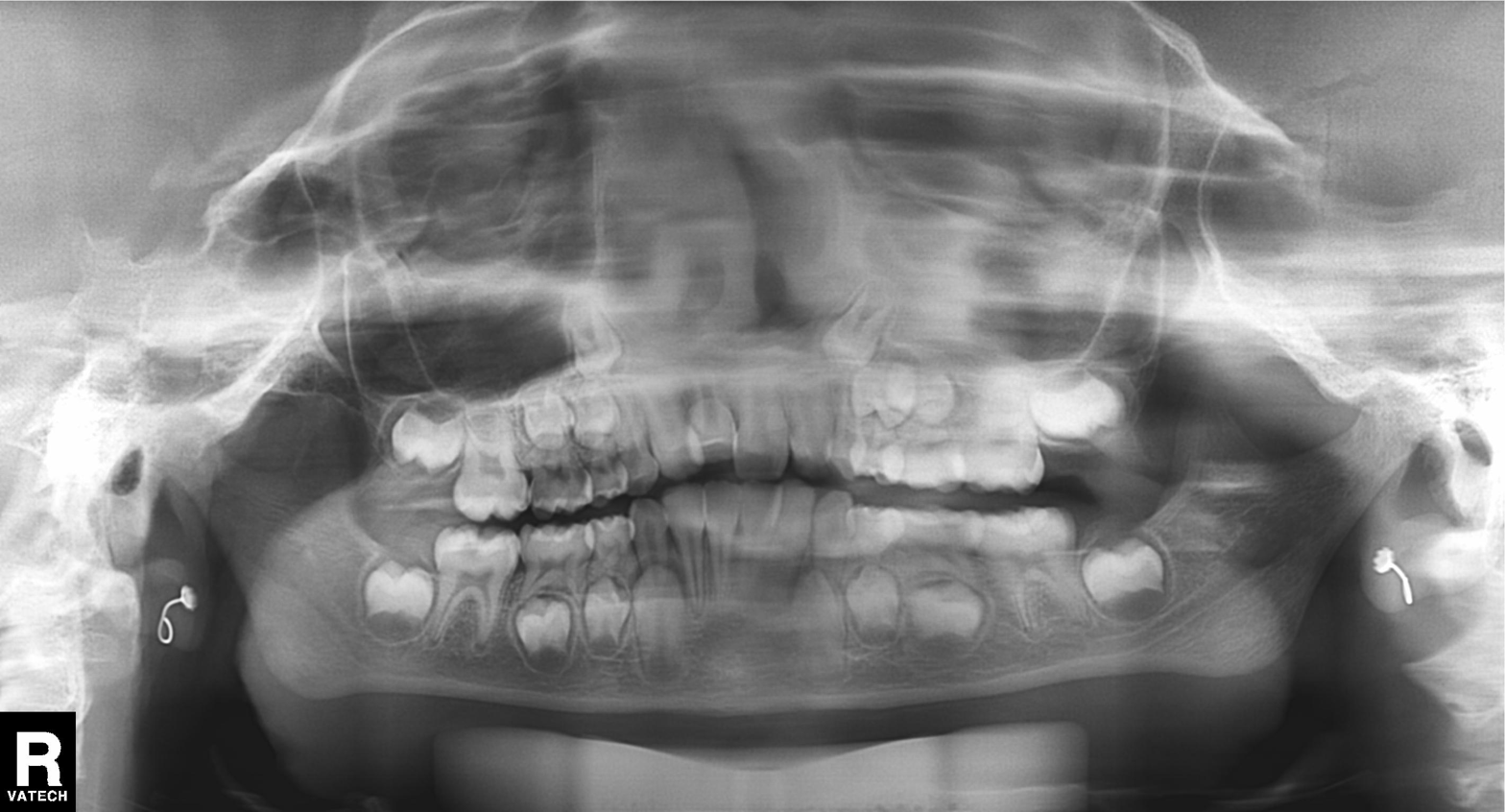
Summary:
Panoramic dental radiograph (orthopantomogram).
Conclusion:
Tooth impaction.